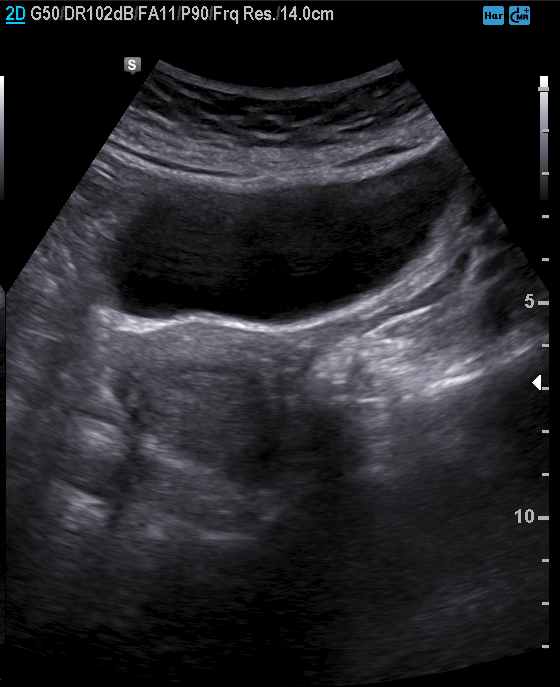
| field | value |
|---|---|
| modality | genitourinary ultrasound |